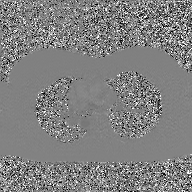
Case summary: 2D phase-contrast cine MRI of the ascending aorta, GAN super-resolution reconstruction.